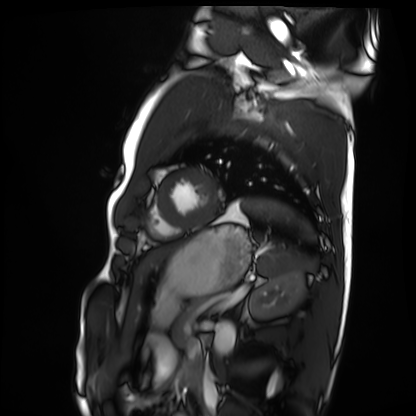
- modality · cardiac MRI
- subject group · healthy volunteer